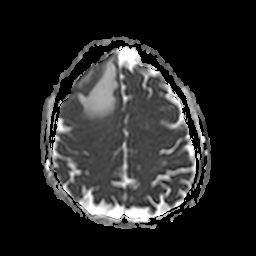
Summary: 3 Tesla brain MRI. Series: apparent diffusion coefficient (ADC) map. Study: ring-enhancing brain masses.